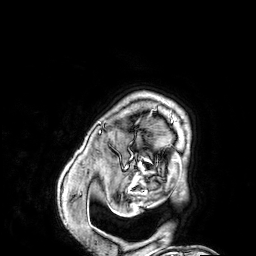
Case summary:
3 Tesla brain MRI. Series: 3D T1-weighted. Study: ring-enhancing brain masses.